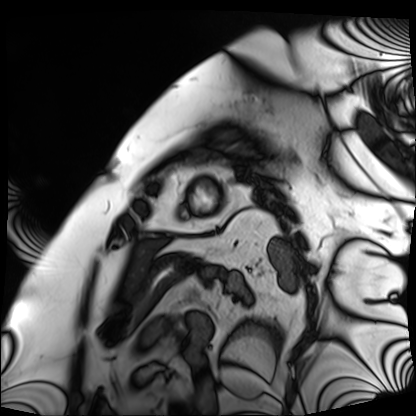
{
  "modality": "cardiac MRI",
  "cohort": "patient"
}